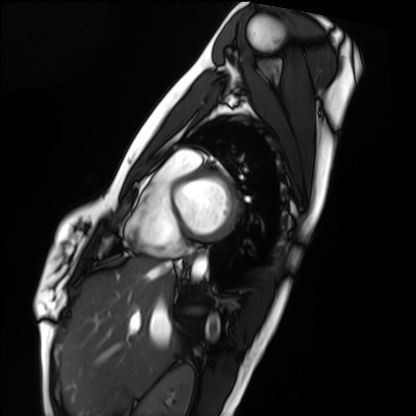
Cardiac MRI.
Subject group: healthy volunteer.